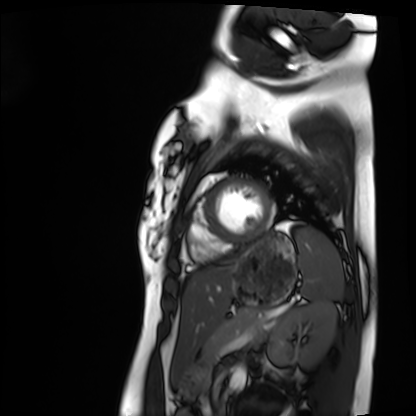
Cardiac MRI.
Subject group: healthy volunteer.